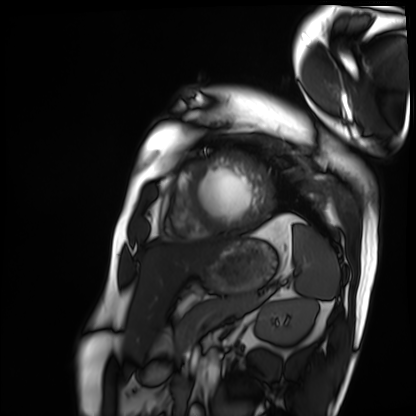
{"modality": "cardiac MRI", "cohort": "patient"}